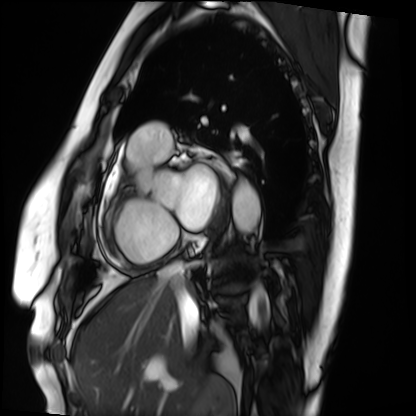
Cardiac MRI. Subject group: patient.